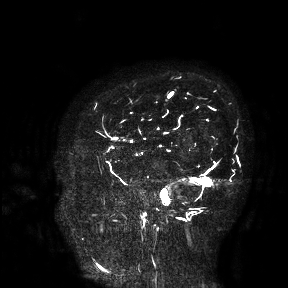
Q: What kind of scan is this?
A: 3 Tesla brain MRI.
Study: ring-enhancing brain masses.